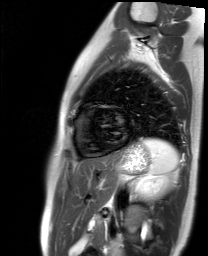
* modality: cardiac MR image of the myocardium
* subject cohort: healthy volunteer